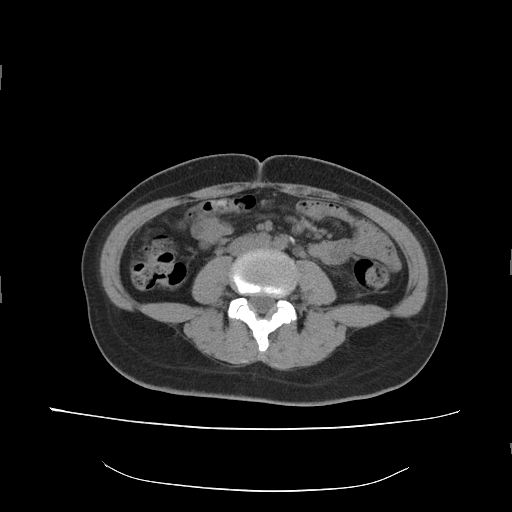
* modality: multiphase abdominal CT, liver, non-contrast phase
* patient: female, age 34